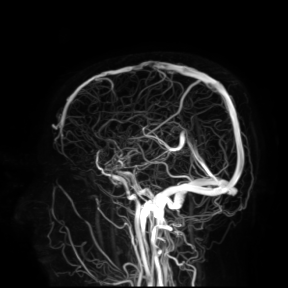
Q: What kind of scan is this?
A: 3 Tesla brain MRI.
Study: ring-enhancing brain masses.